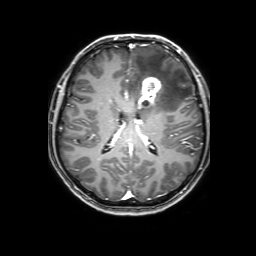
3 Tesla brain MRI. Series: 3D T1-weighted with SENSE. Study: ring-enhancing brain masses.